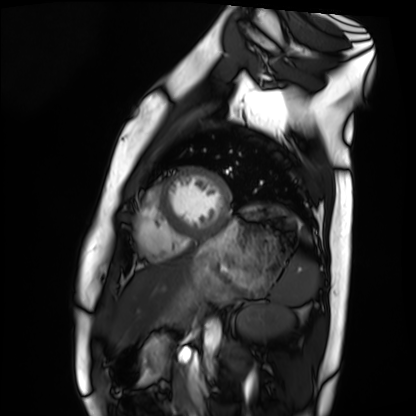
* modality · cardiac MRI
* subject group · healthy volunteer